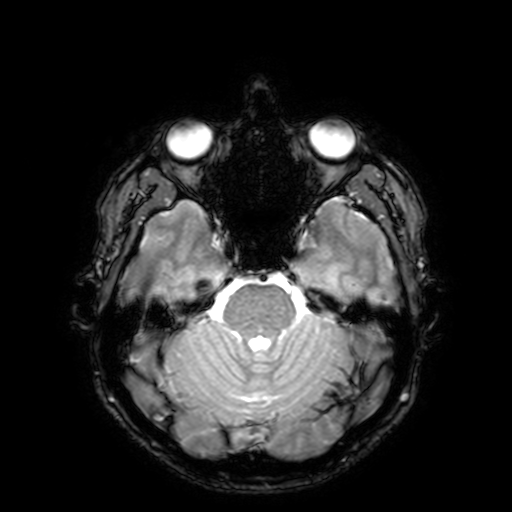
Summary:
3 Tesla brain MRI. Series: T2-weighted fast field echo with SENSE. Study: ring-enhancing brain masses.